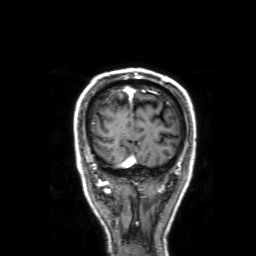
modality = 3 Tesla brain MRI | series = 3D T1-weighted with SENSE | study = ring-enhancing brain masses.